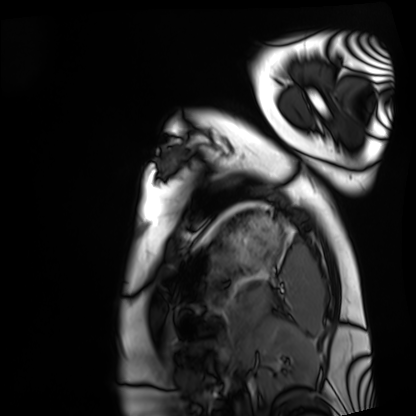
• modality: cardiac MRI
• subject group: healthy volunteer